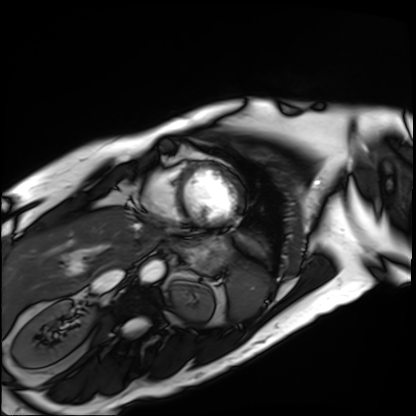
modality — cardiac MRI | subject group — patient.